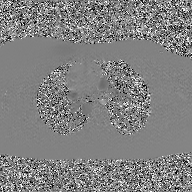
2D phase-contrast cine MRI of the ascending aorta, GAN super-resolution reconstruction.